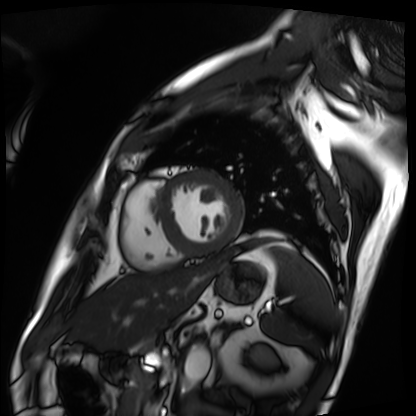
modality: cardiac MRI | subject group: patient.